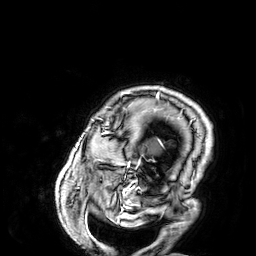
- modality: 3 Tesla brain MRI
- series: 3D T1-weighted
- study: ring-enhancing brain masses